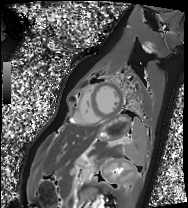
{"modality": "cardiac MRI", "cohort": "healthy volunteer"}